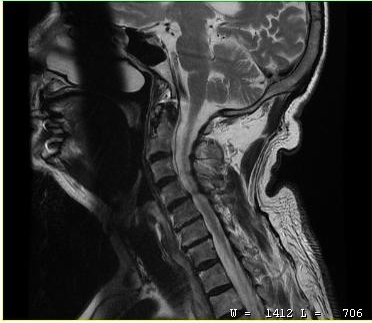
MRI of the cervical spine.
Study: cervical spondylosis.